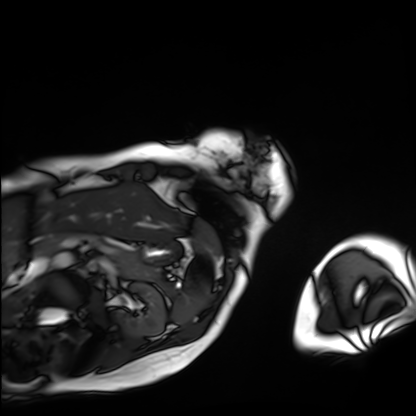
Q: What kind of scan is this?
A: Cardiac MRI.
Subject group: patient.